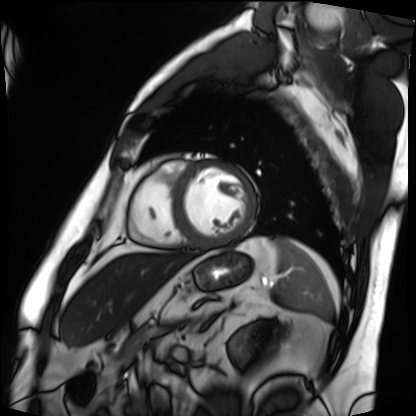
Q: What kind of scan is this?
A: Cardiac MRI.
Subject group: patient.